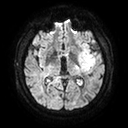
Clinical context: 3 Tesla brain MRI. Series: diffusion tensor imaging (medium iso). Study: ring-enhancing brain masses.